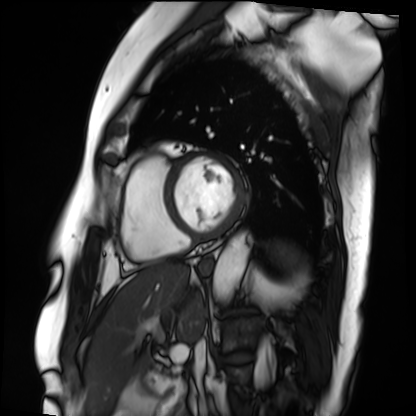
Cardiac MRI. Subject group: patient.